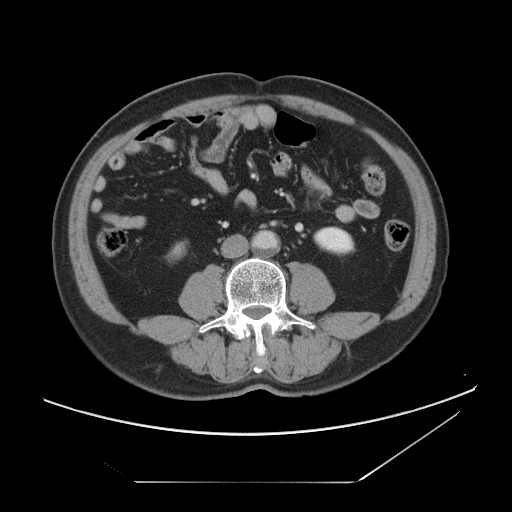
modality = multiphase abdominal CT, liver, portal venous phase; patient = male, age 60.